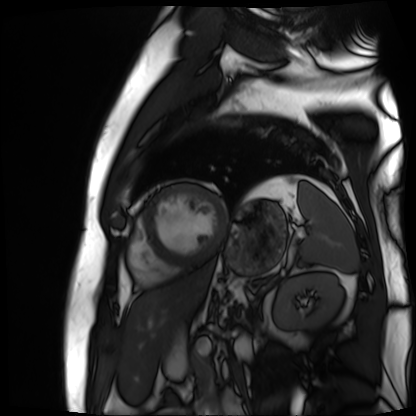
Cardiac MR image of the myocardium.
Subject cohort: cardiac patient.